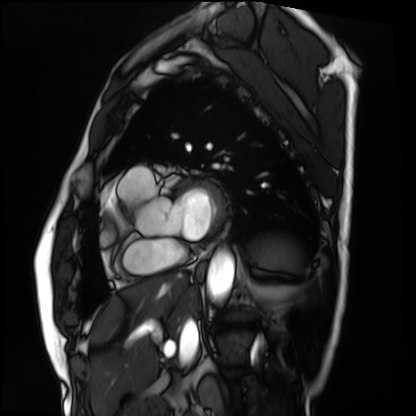
Cardiac MRI.
Subject group: patient.